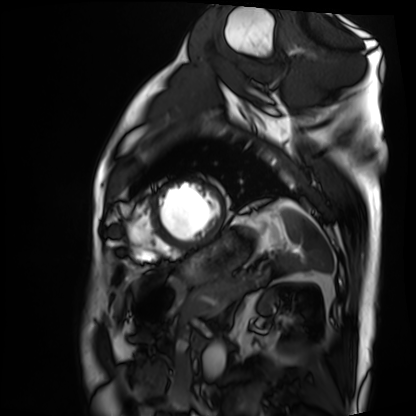
• modality · cardiac MRI
• subject group · patient